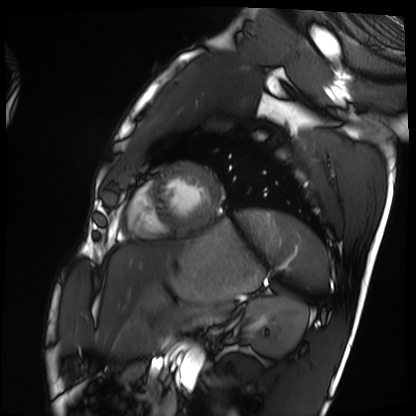
Cardiac MRI.
Subject group: healthy volunteer.